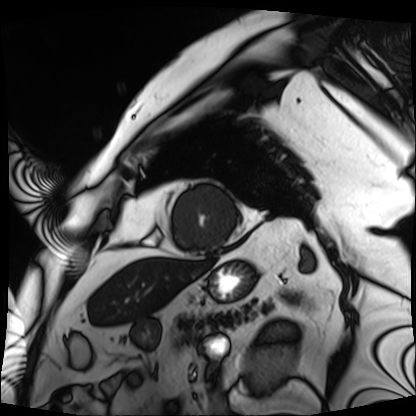
Cardiac MRI.
Subject group: patient.